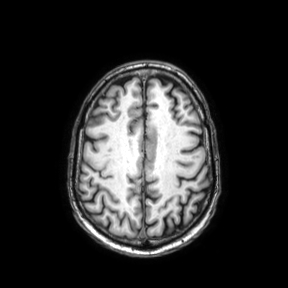
3 Tesla brain MRI. Series: axial. Study: ring-enhancing brain masses.